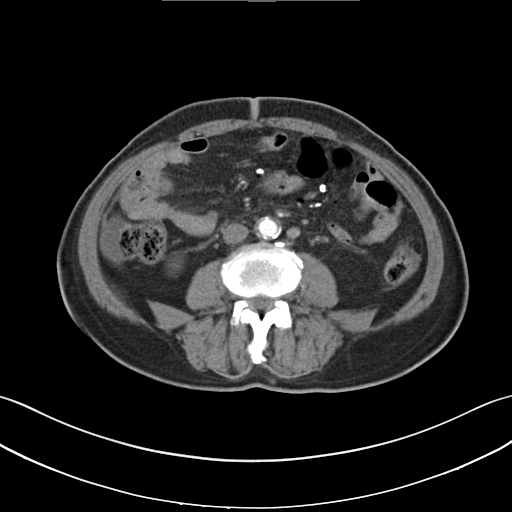
modality: multiphase abdominal CT, liver, arterial phase | patient: male, age 70 | history: cirrhosis.